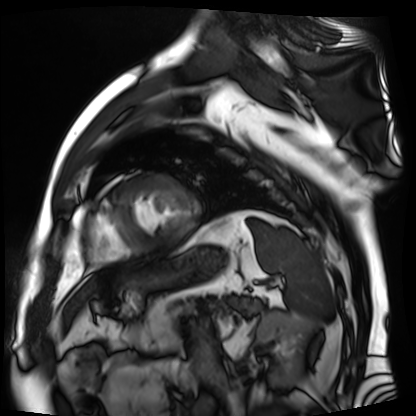
Case summary:
Cardiac MR image of the myocardium. Subject cohort: cardiac patient.